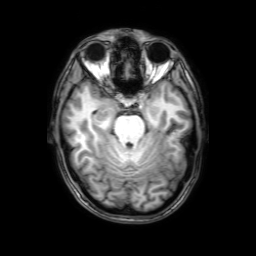
modality: 3 Tesla brain MRI; series: 3D T1-weighted with SENSE; study: ring-enhancing brain masses.